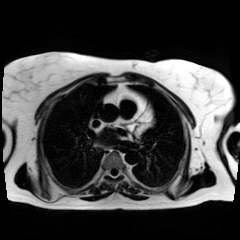
modality: chemical-shift-encoded cardiac MRI